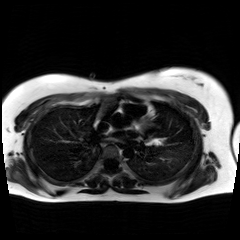
Summary:
Chemical-shift-encoded cardiac MRI.